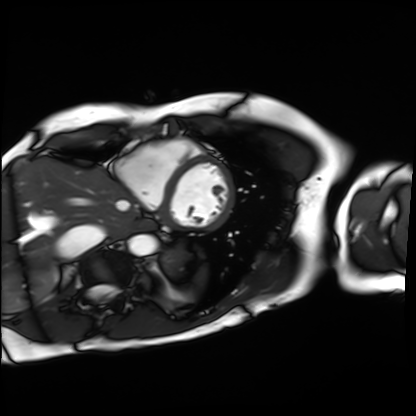
Summary:
Cardiac MRI. Subject group: patient.